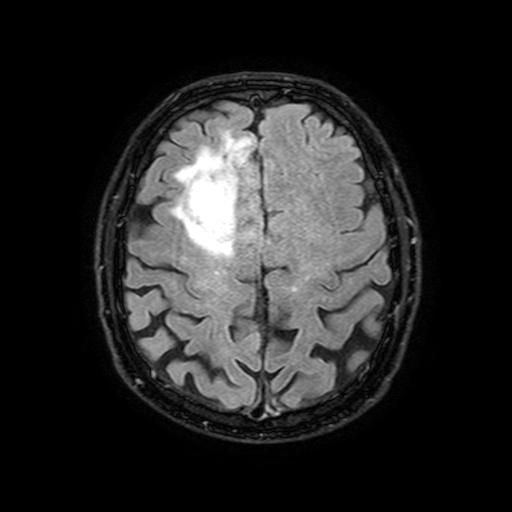
3 Tesla brain MRI. Series: FLAIR with SPAIR, 3 mm. Study: ring-enhancing brain masses.